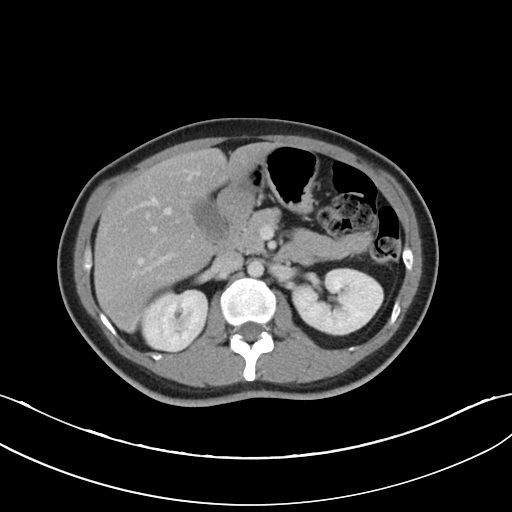
modality:
  type: multiphase abdominal CT
  region: liver
  phase: portal venous
patient:
  sex: female
  age: 37